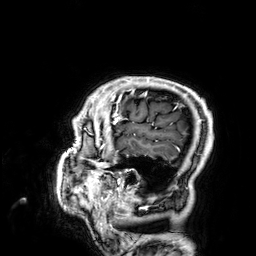
Case summary:
3 Tesla brain MRI. Series: 3D T1-weighted. Study: ring-enhancing brain masses.